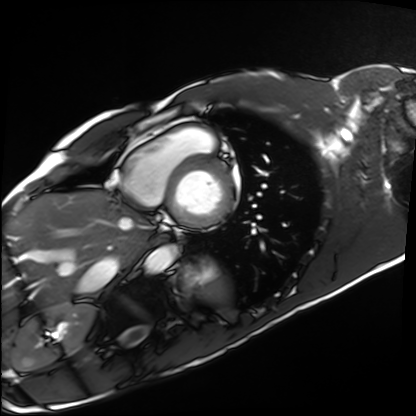
Cardiac MRI. Subject group: healthy volunteer.